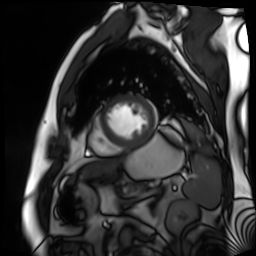
Summary: Cardiac MR image of the myocardium. Subject cohort: cardiac patient.